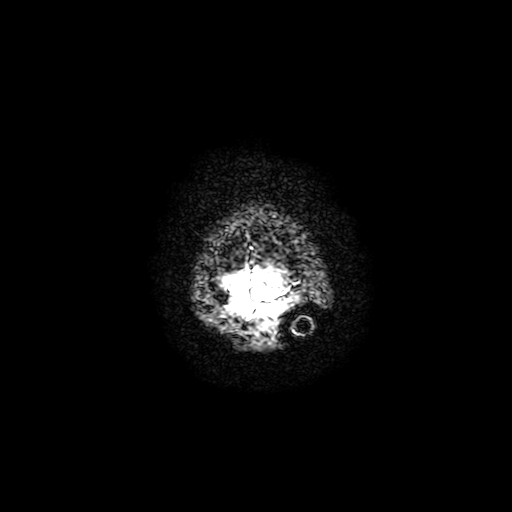
| field | value |
|---|---|
| modality | 3 Tesla brain MRI |
| series | T2-weighted fast field echo with SENSE |
| study | ring-enhancing brain masses |